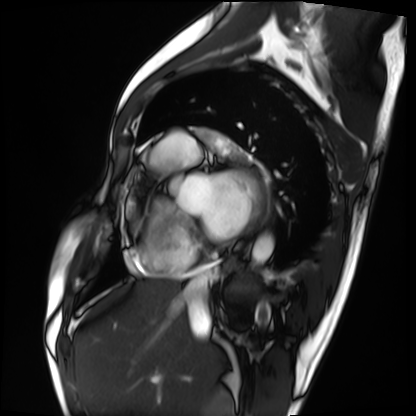
Cardiac MRI. Subject group: patient.